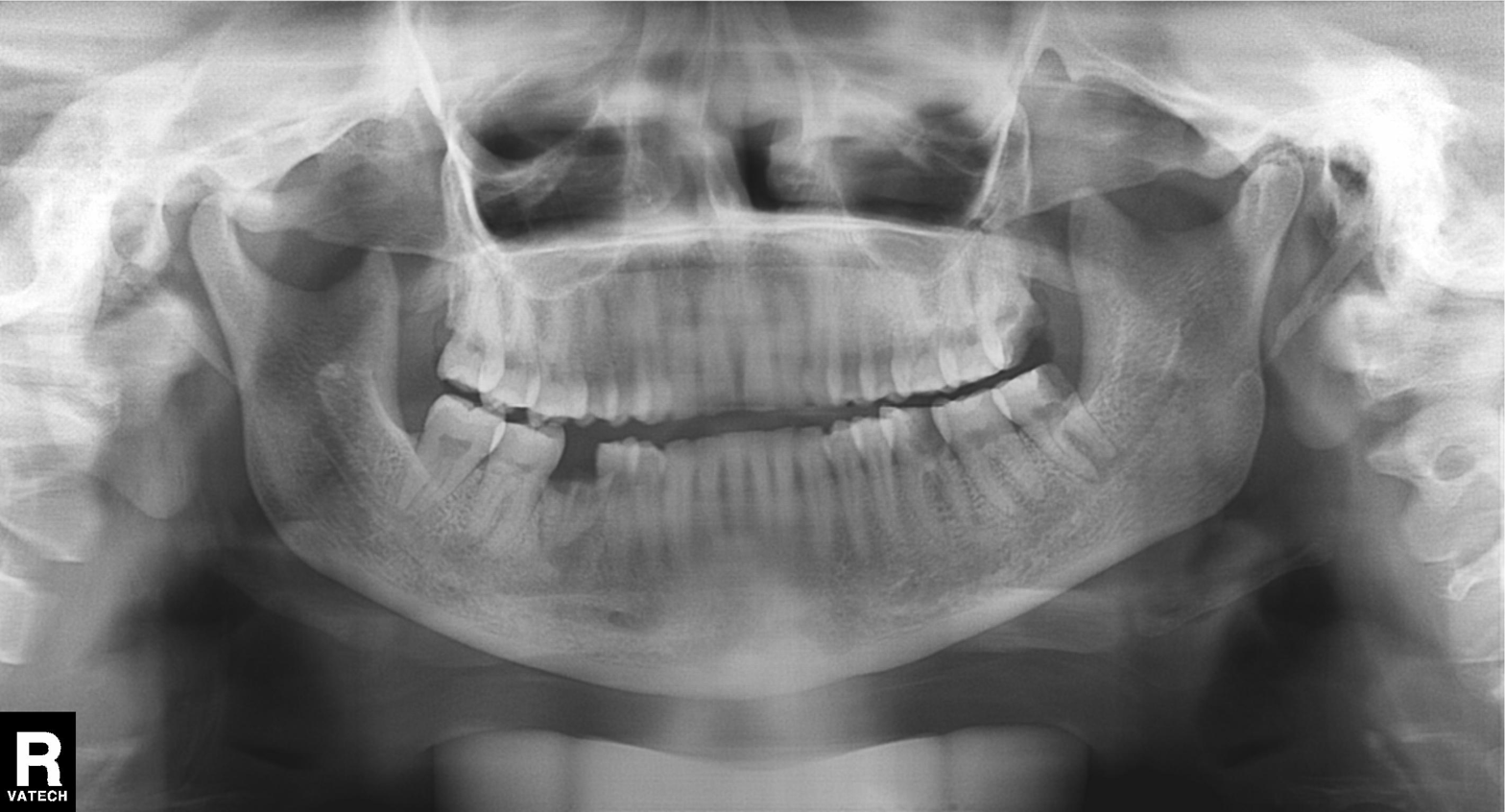
Q: What kind of scan is this?
A: Panoramic dental radiograph (orthopantomogram).
Q: What is the radiographic finding?
A: Alveolar bone loss.